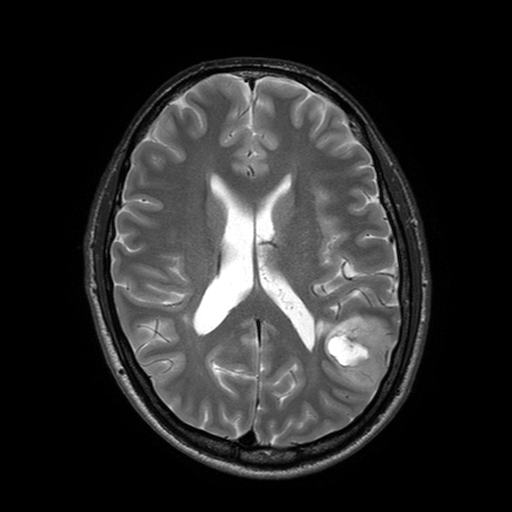
Q: What kind of scan is this?
A: 3 Tesla brain MRI.
Q: Series?
A: T2-weighted turbo spin echo with SENSE.
Study: ring-enhancing brain masses.